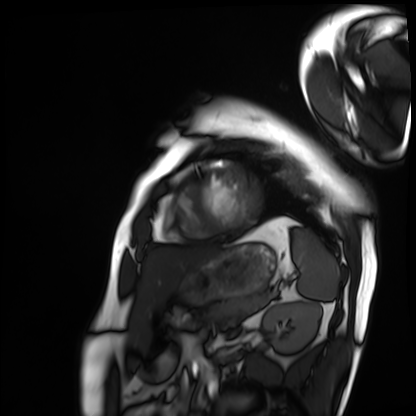
Cardiac MRI.
Subject group: patient.